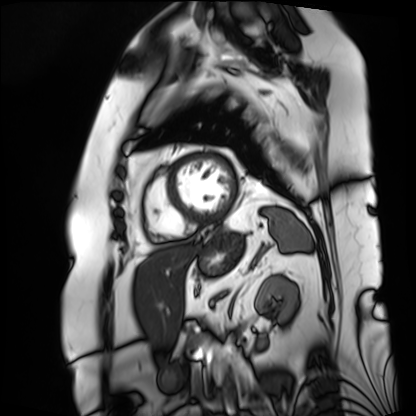
modality = cardiac MRI; subject group = patient.